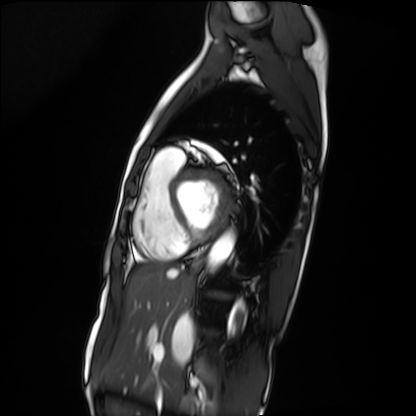
Q: What kind of scan is this?
A: Cardiac MRI.
Subject group: patient.